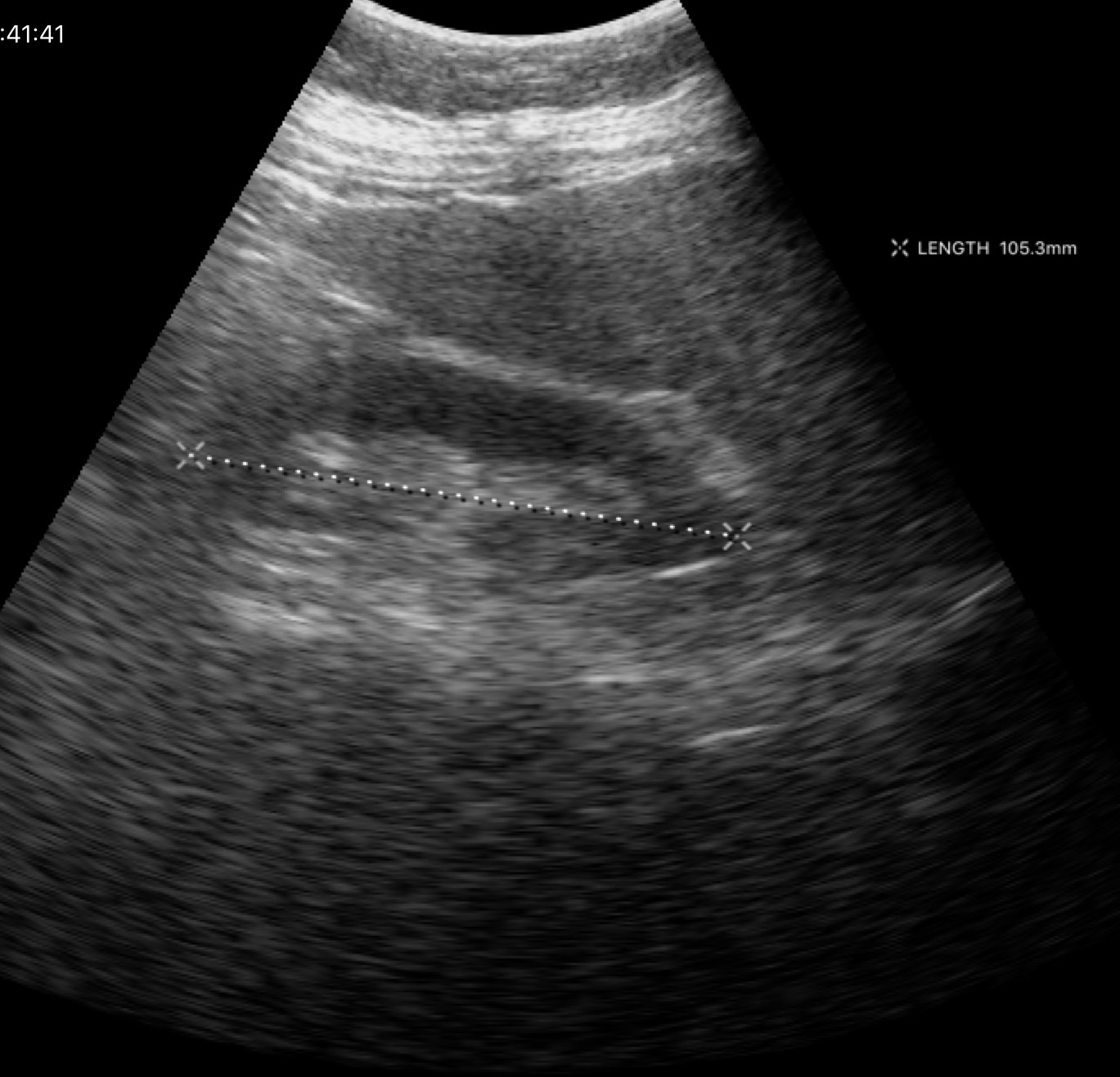
modality=genitourinary ultrasound